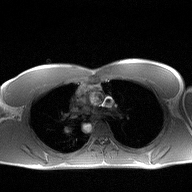
modality — 2D phase-contrast cine MRI of the ascending aorta.